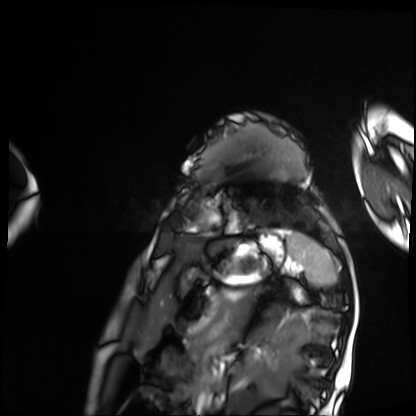
modality: cardiac MRI
subject group: patient